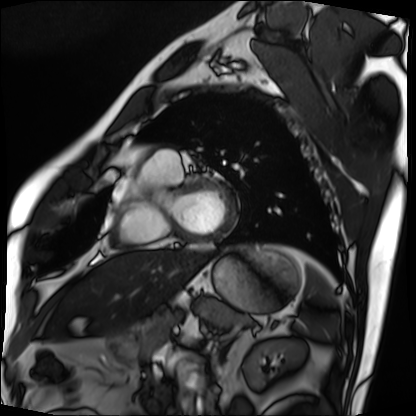
Case:
• modality — cardiac MRI
• subject group — patient